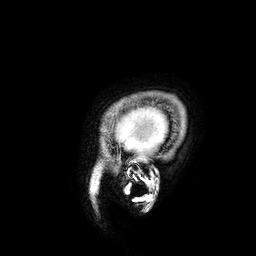
3 Tesla brain MRI. Series: 3D T1-weighted. Study: ring-enhancing brain masses.